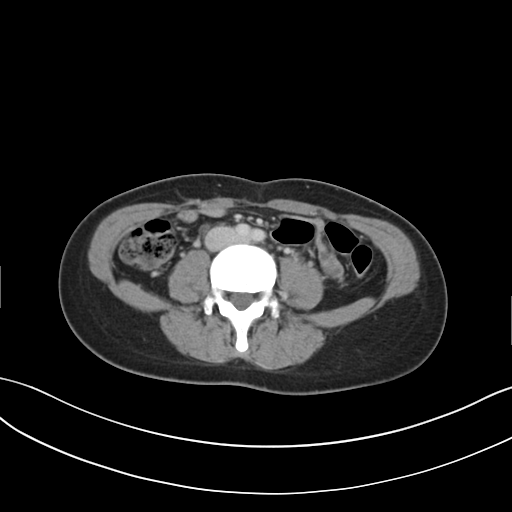
modality — multiphase abdominal CT, liver, delayed phase | patient — female, age 32.